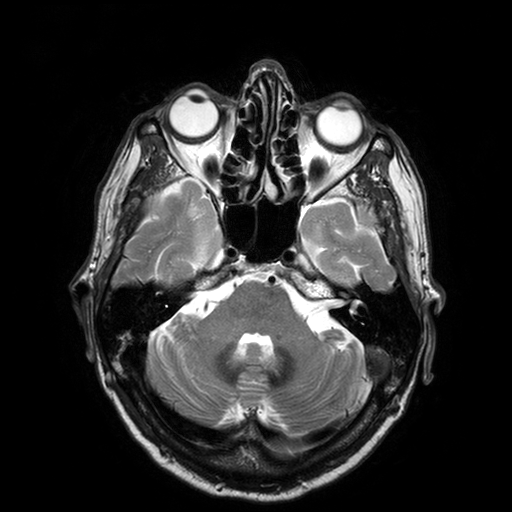
Case:
– modality · 3 Tesla brain MRI
– study · ring-enhancing brain masses